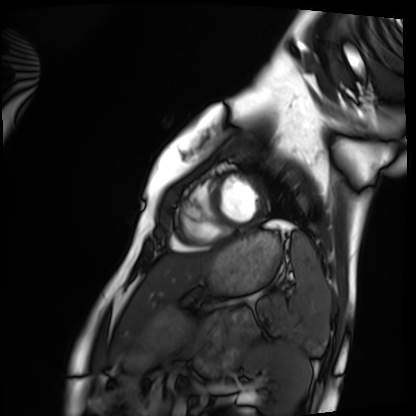
Summary: Cardiac MRI. Subject group: healthy volunteer.